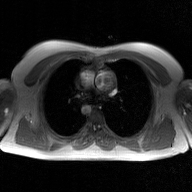
modality — 2D phase-contrast cine MRI of the ascending aorta, GAN super-resolution reconstruction.